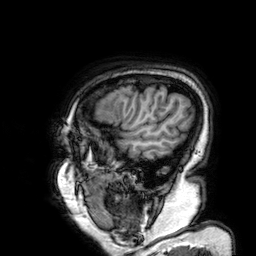
3 Tesla brain MRI. Series: 3D T1-weighted. Study: ring-enhancing brain masses.